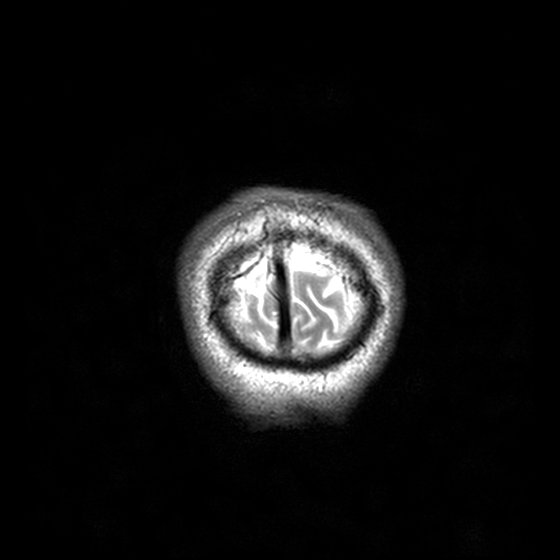
Case summary: 3 Tesla brain MRI. Series: T2-weighted turbo spin echo, 3 mm. Study: ring-enhancing brain masses.